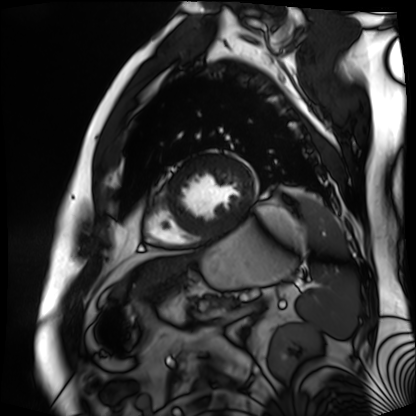
modality = cardiac MR image of the myocardium | subject cohort = cardiac patient.